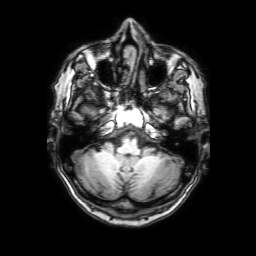
Case summary:
3 Tesla brain MRI. Series: 3D T1-weighted with SENSE. Study: ring-enhancing brain masses.